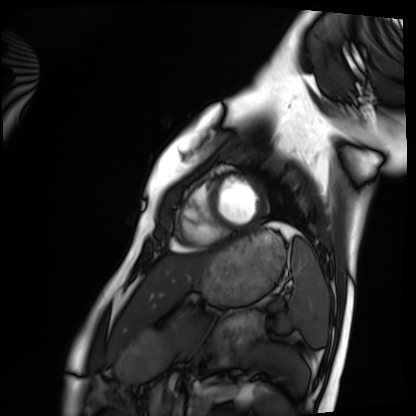
modality — cardiac MRI
subject group — healthy volunteer